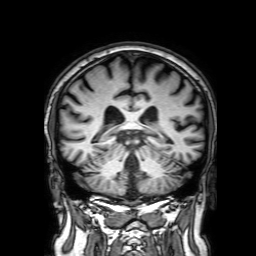
• modality: 3 Tesla brain MRI
• series: 3D T1-weighted with SENSE
• study: ring-enhancing brain masses